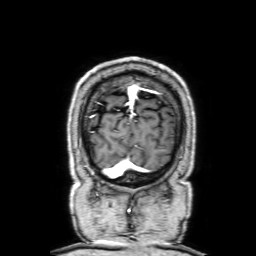
Summary:
3 Tesla brain MRI. Series: 3D T1-weighted with SENSE. Study: ring-enhancing brain masses.